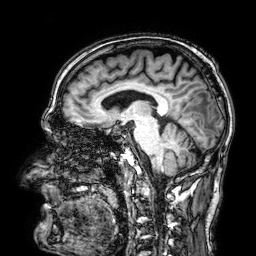
Q: What kind of scan is this?
A: 3 Tesla brain MRI.
Q: Series?
A: 3D T1-weighted.
Study: ring-enhancing brain masses.